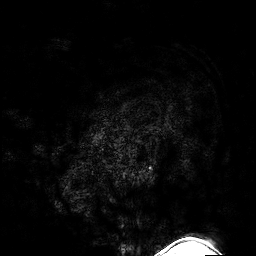
modality — 3 Tesla brain MRI
series — 3D T1-weighted turbo field echo with SENSE
study — ring-enhancing brain masses